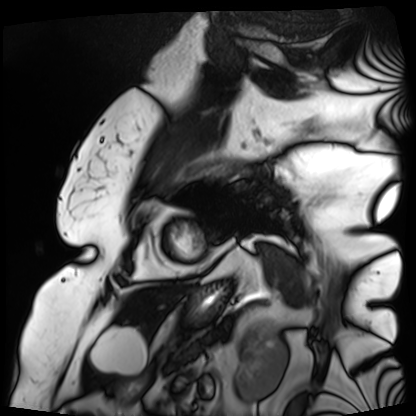
Q: What kind of scan is this?
A: Cardiac MRI.
Subject group: patient.